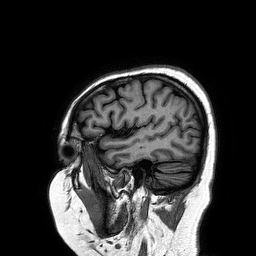
| field | value |
|---|---|
| modality | 3 Tesla brain MRI |
| series | 3D T1-weighted turbo field echo |
| study | ring-enhancing brain masses |